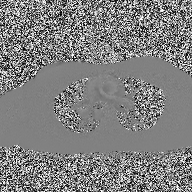
<scan>
<modality>
  <type>2D phase-contrast cine MRI</type>
  <region>ascending aorta</region>
  <reconstruction>high-resolution GRAPPA acquisition</reconstruction>
</modality>
</scan>